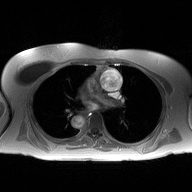
2D phase-contrast cine MRI of the ascending aorta, high-resolution GRAPPA acquisition.